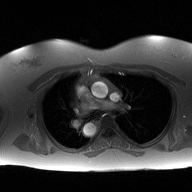
{
  "modality": {
    "type": "2D phase-contrast cine MRI",
    "region": "ascending aorta",
    "reconstruction": "high-resolution GRAPPA acquisition"
  }
}